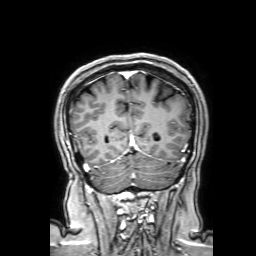
Q: What kind of scan is this?
A: 3 Tesla brain MRI.
Q: Series?
A: 3D T1-weighted with SENSE.
Study: ring-enhancing brain masses.